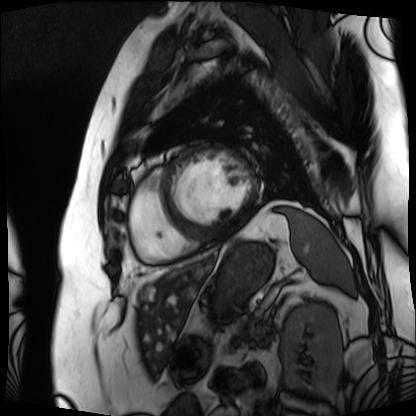
Cardiac MRI.
Subject group: patient.